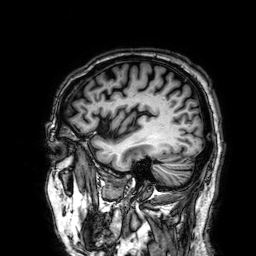
<record>
<modality>
  <type>brain MRI</type>
  <field_strength>3T</field_strength>
</modality>
<series>3D T1-weighted</series>
<study_topic>ring-enhancing brain masses</study_topic>
</record>